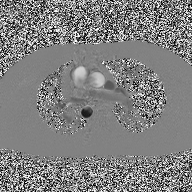
2D phase-contrast cine MRI of the ascending aorta, high-resolution GRAPPA acquisition.